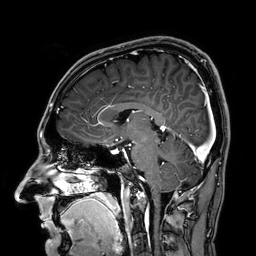
* modality · 3 Tesla brain MRI
* series · 3D T1-weighted
* study · ring-enhancing brain masses